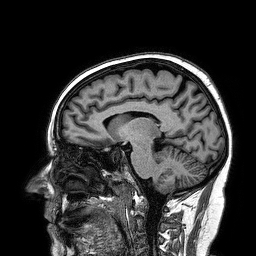
3 Tesla brain MRI.
Series: 3D T1-weighted turbo field echo.
Study: ring-enhancing brain masses.